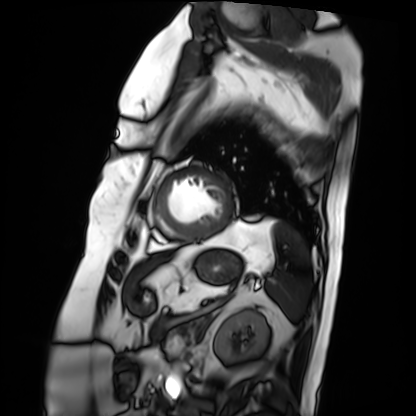
{
  "modality": "cardiac MRI",
  "cohort": "patient"
}